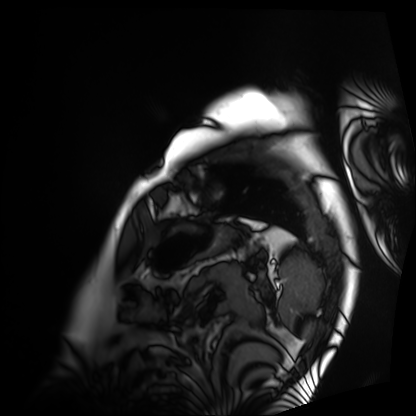
Cardiac MRI.
Subject group: patient.